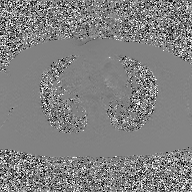
2D phase-contrast cine MRI of the ascending aorta, GAN super-resolution reconstruction.